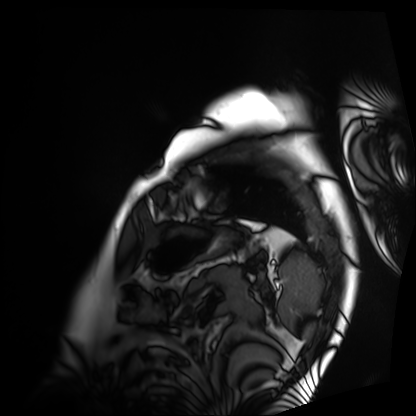
  modality: cardiac MRI
  cohort: patient